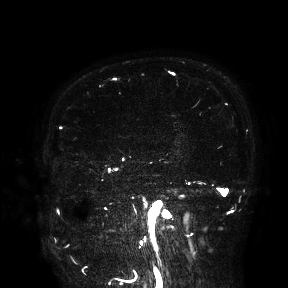
| field | value |
|---|---|
| modality | 3 Tesla brain MRI |
| study | ring-enhancing brain masses |